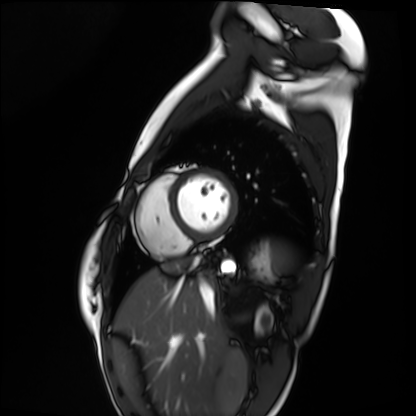
– modality: cardiac MRI
– subject group: healthy volunteer